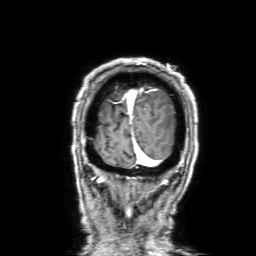
Q: What kind of scan is this?
A: 3 Tesla brain MRI.
Q: Series?
A: 3D T1-weighted with SENSE.
Study: ring-enhancing brain masses.